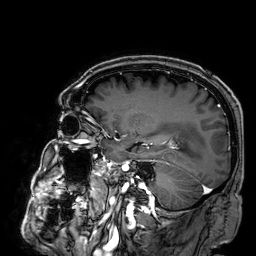
Case:
* modality: 3 Tesla brain MRI
* series: 3D T1-weighted
* study: ring-enhancing brain masses